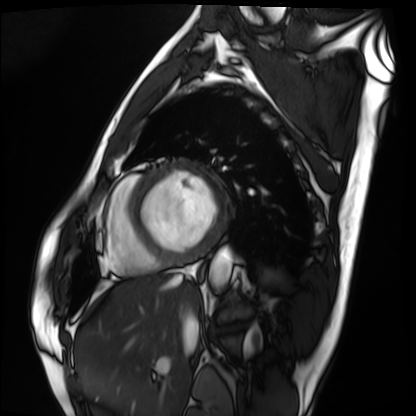
Summary: Cardiac MRI. Subject group: patient.